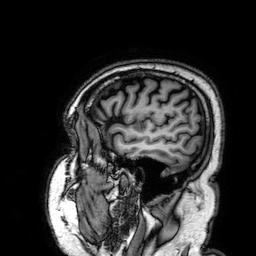
3 Tesla brain MRI.
Series: 3D T1-weighted.
Study: ring-enhancing brain masses.